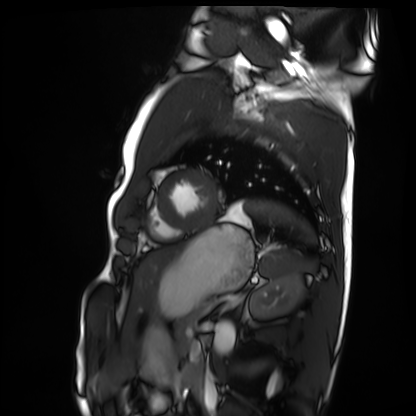
modality: cardiac MRI, subject group: healthy volunteer.